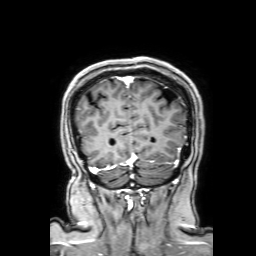
3 Tesla brain MRI. Series: 3D T1-weighted with SENSE. Study: ring-enhancing brain masses.